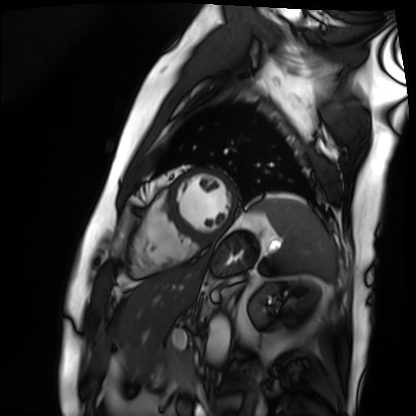
Q: What kind of scan is this?
A: Cardiac MRI.
Subject group: patient.